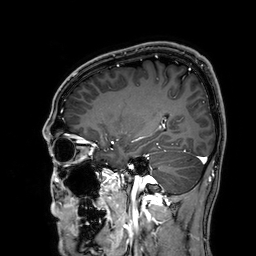
modality = 3 Tesla brain MRI
series = 3D T1-weighted
study = ring-enhancing brain masses